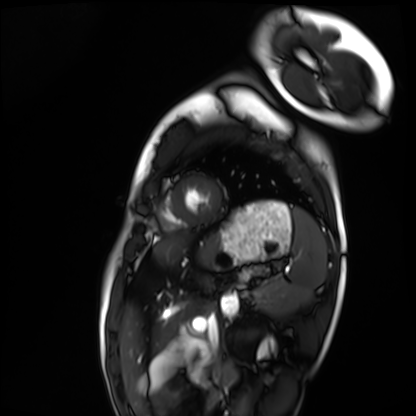
Cardiac MRI. Subject group: healthy volunteer.